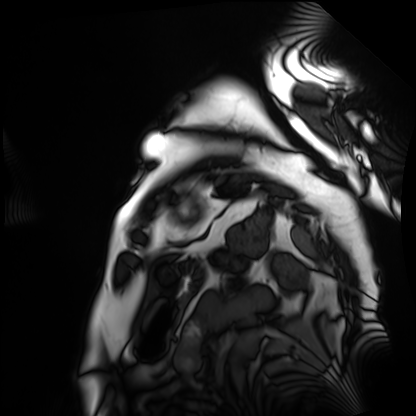
Cardiac MRI. Subject group: patient.